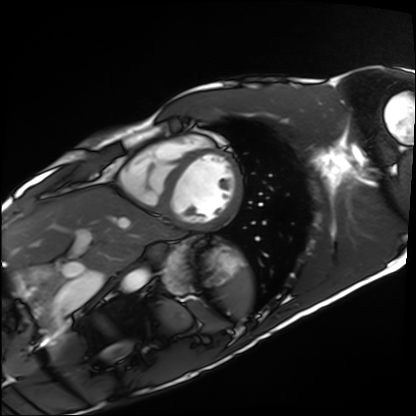
Clinical context: Cardiac MRI. Subject group: healthy volunteer.